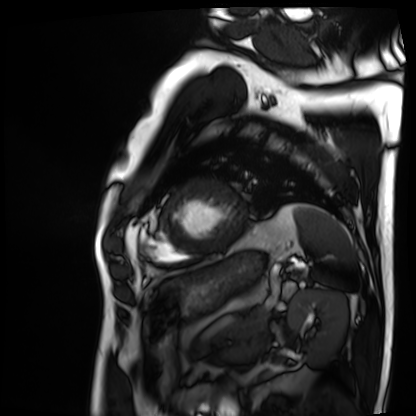
Case summary:
Cardiac MRI. Subject group: patient.